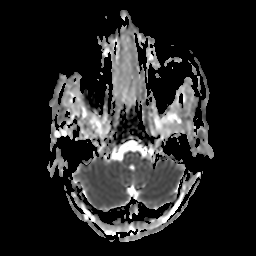
modality: 3 Tesla brain MRI | series: apparent diffusion coefficient (ADC) map | study: ring-enhancing brain masses.